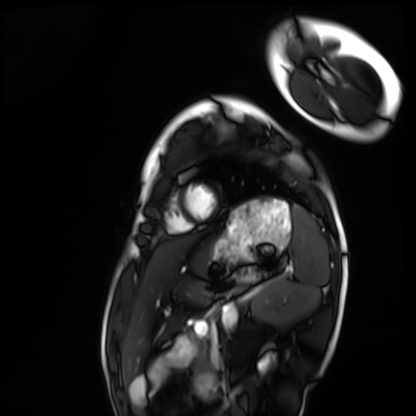
Case:
• modality · cardiac MRI
• subject group · healthy volunteer